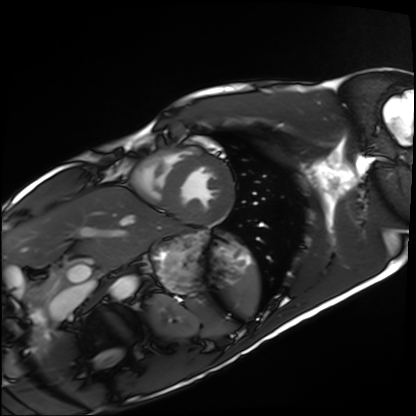
{"modality": "cardiac MRI", "cohort": "healthy volunteer"}